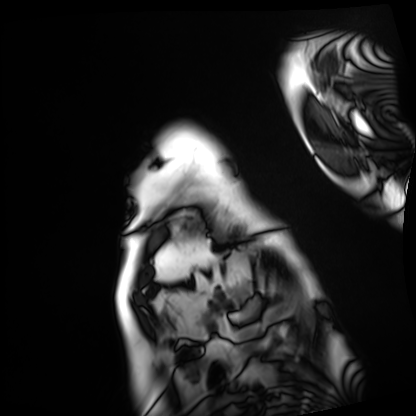
modality: cardiac MRI, subject group: patient.